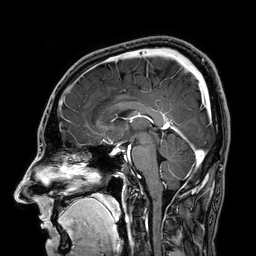
modality: 3 Tesla brain MRI
series: 3D T1-weighted
study: ring-enhancing brain masses